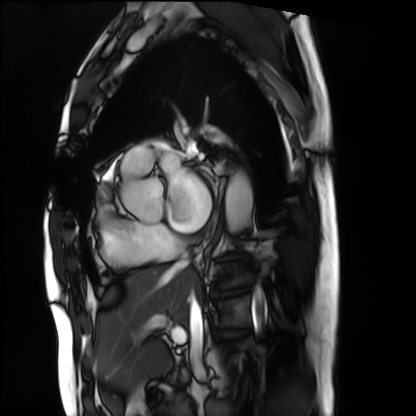
<study>
  <modality>cardiac MRI</modality>
  <cohort>patient</cohort>
</study>